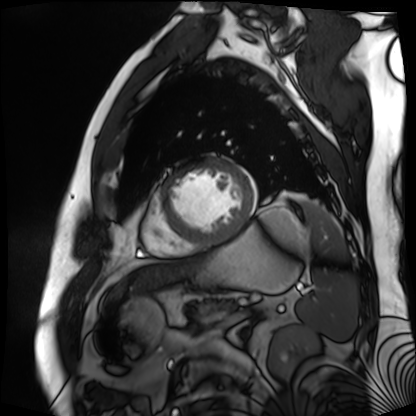
Cardiac MR image of the myocardium. Subject cohort: cardiac patient.